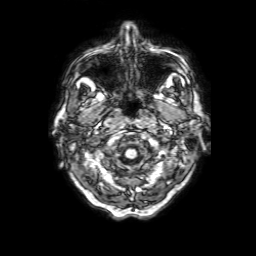
3 Tesla brain MRI. Series: 3D T1-weighted with SENSE. Study: ring-enhancing brain masses.